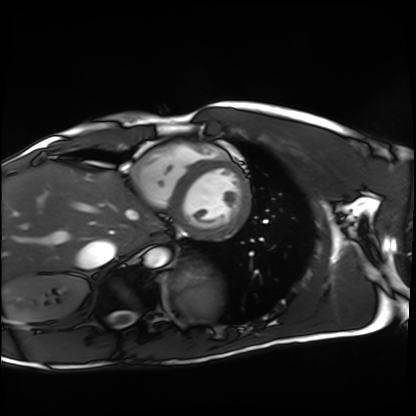
Clinical context:
Cardiac MRI. Subject group: healthy volunteer.